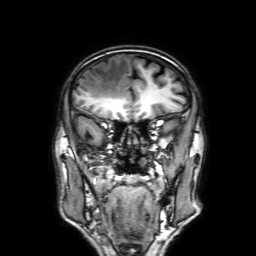
3 Tesla brain MRI. Series: 3D T1-weighted with SENSE. Study: ring-enhancing brain masses.